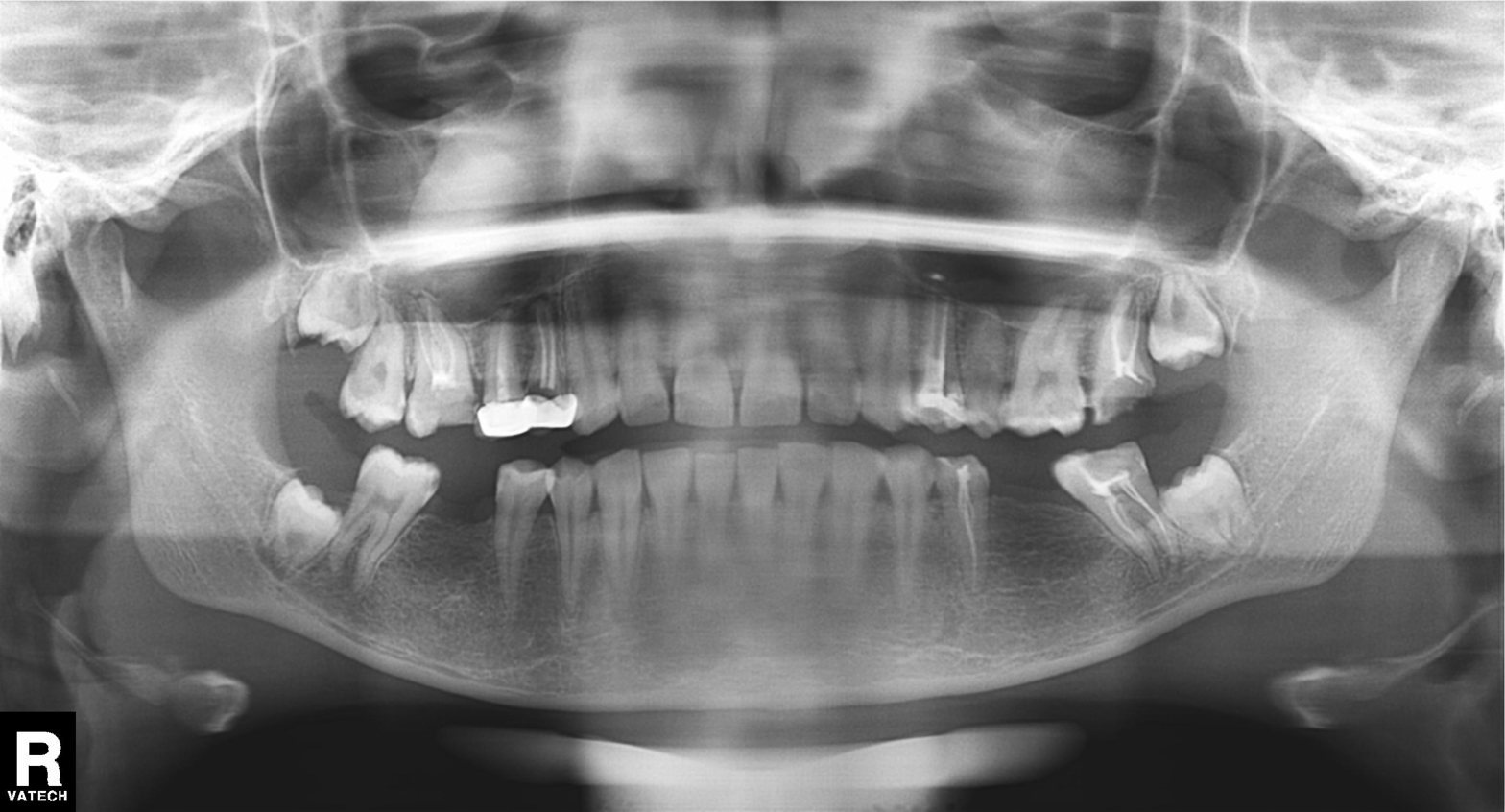
| field | value |
|---|---|
| modality | panoramic dental radiograph (orthopantomogram) |
| finding | alveolar bone loss |